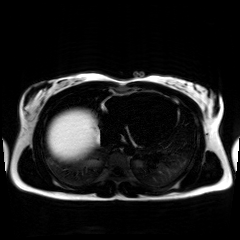
{
  "modality": "chemical-shift-encoded cardiac MRI"
}